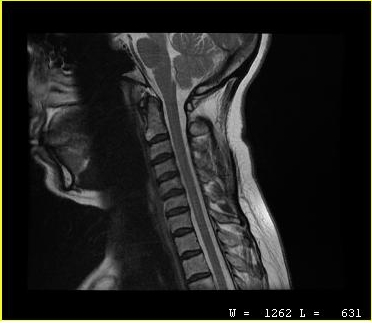
| field | value |
|---|---|
| modality | MRI of the cervical spine |
| study | cervical spondylosis |